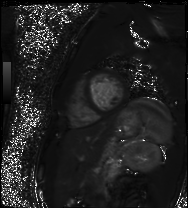
Cardiac MR image of the myocardium. Subject cohort: healthy volunteer.